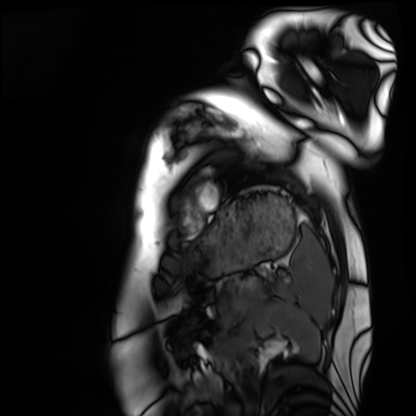
Cardiac MRI. Subject group: healthy volunteer.